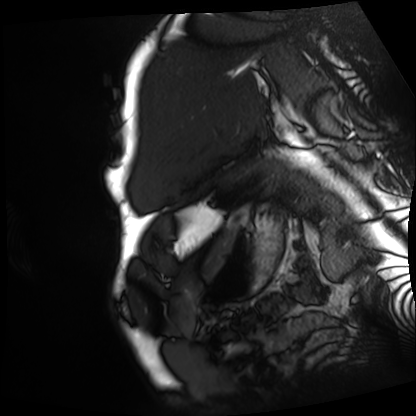
Cardiac MRI.
Subject group: patient.